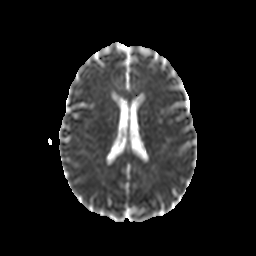
Case:
- modality · 3 Tesla brain MRI
- series · diffusion-weighted imaging with CLEAR
- study · ring-enhancing brain masses